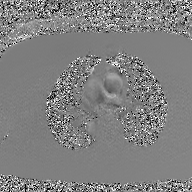
– modality — 2D phase-contrast cine MRI of the ascending aorta, GAN super-resolution reconstruction